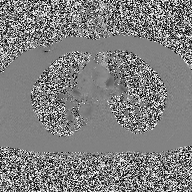
Case summary: 2D phase-contrast cine MRI of the ascending aorta, high-resolution GRAPPA acquisition.